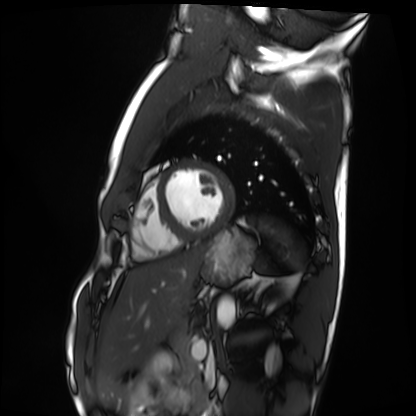
Clinical context: Cardiac MRI. Subject group: healthy volunteer.